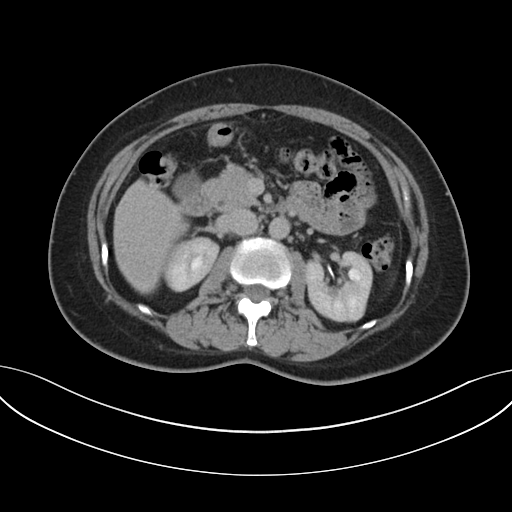
  modality:
    type: multiphase abdominal CT
    region: liver
    phase: delayed
  patient:
    sex: female
    age: 53
  history:
    - prior chemotherapy